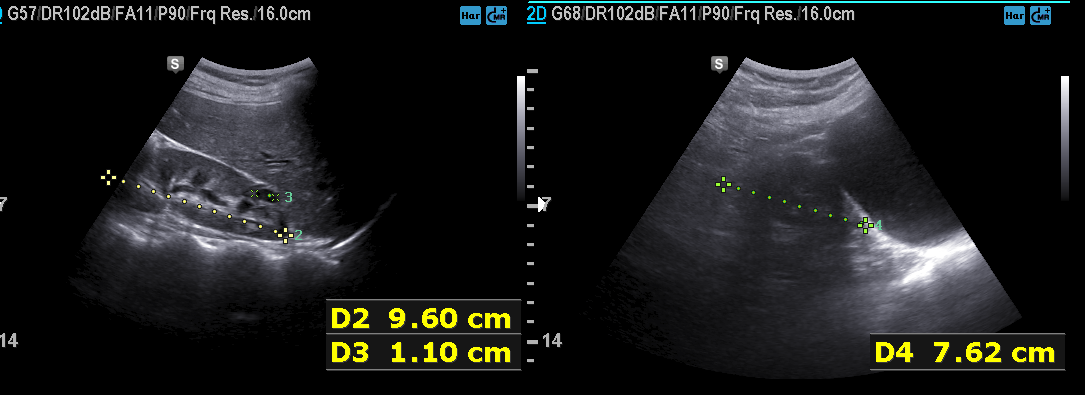
Summary: Genitourinary ultrasound.